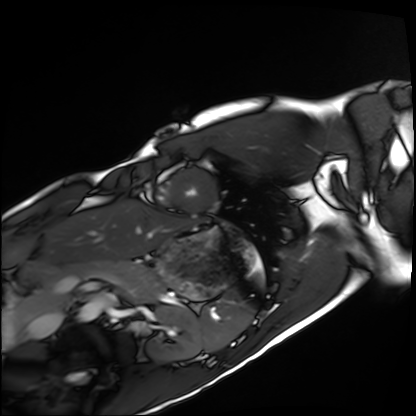
• modality — cardiac MRI
• subject group — healthy volunteer